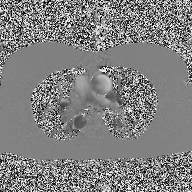
Q: What kind of scan is this?
A: 2D phase-contrast cine MRI of the ascending aorta.